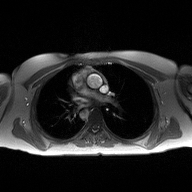
Summary:
2D phase-contrast cine MRI of the ascending aorta, high-resolution GRAPPA acquisition.